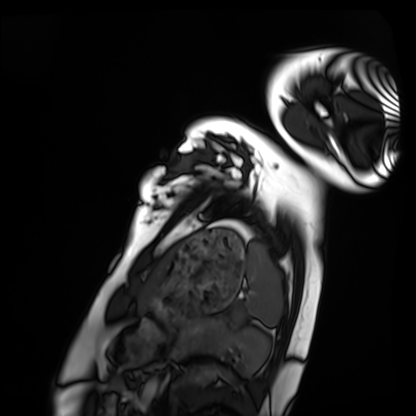
Summary: Cardiac MRI. Subject group: healthy volunteer.